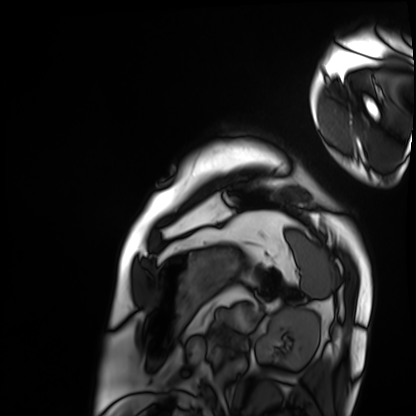
{
  "modality": "cardiac MRI",
  "cohort": "patient"
}